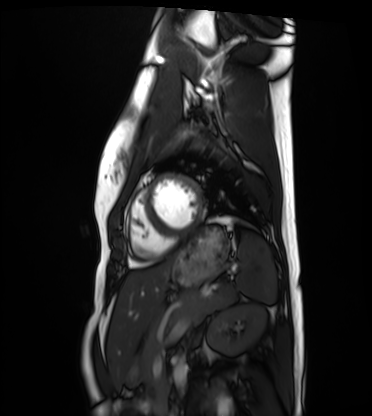
Q: What kind of scan is this?
A: Cardiac MRI.
Subject group: healthy volunteer.